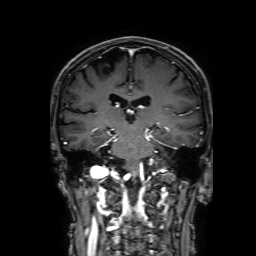
Q: What kind of scan is this?
A: 3 Tesla brain MRI.
Q: Series?
A: 3D T1-weighted with SENSE.
Study: ring-enhancing brain masses.